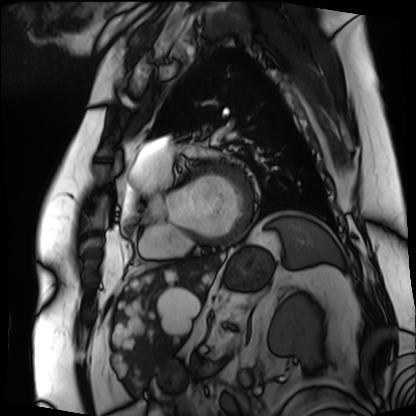
Cardiac MRI. Subject group: patient.